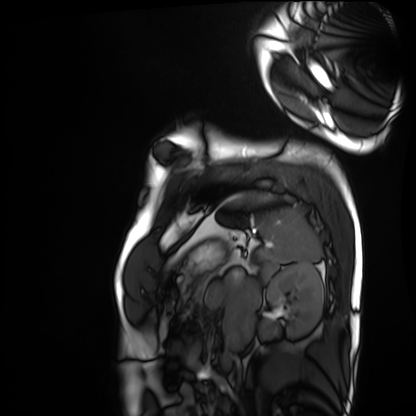
| field | value |
|---|---|
| modality | cardiac MRI |
| subject group | healthy volunteer |